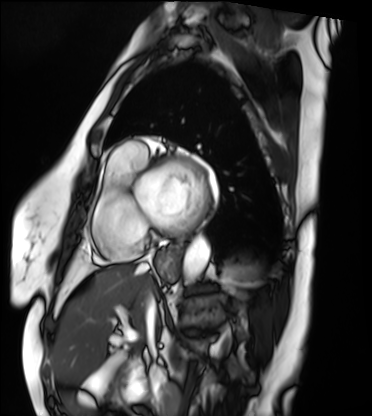
Cardiac MRI.
Subject group: patient.